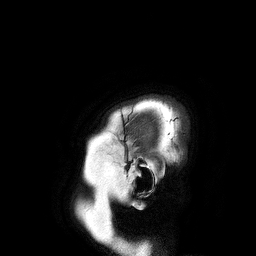
| field | value |
|---|---|
| modality | 3 Tesla brain MRI |
| series | 3D T1-weighted turbo field echo |
| study | ring-enhancing brain masses |